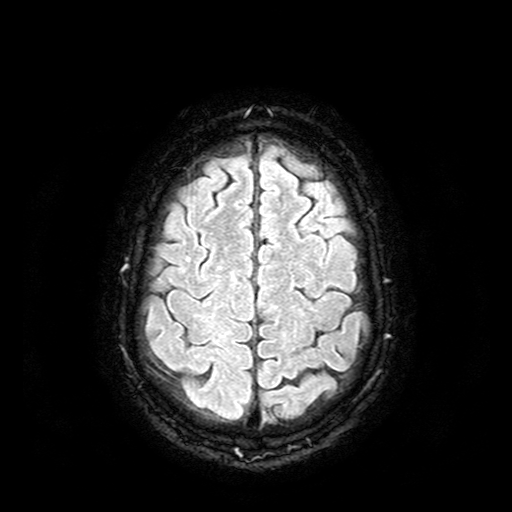
modality = 3 Tesla brain MRI; series = FLAIR with SPAIR; study = ring-enhancing brain masses.